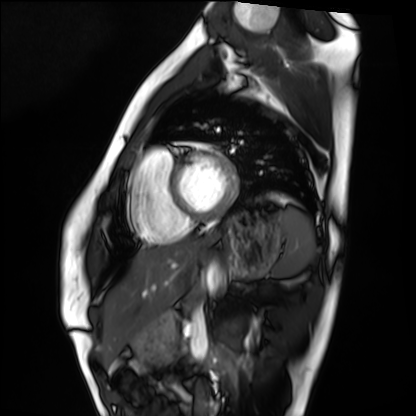
Cardiac MRI. Subject group: healthy volunteer.